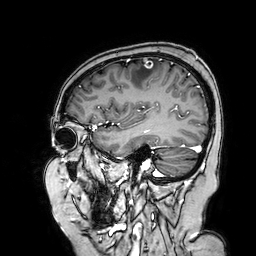
modality=3 Tesla brain MRI | series=3D T1-weighted turbo field echo with SENSE | study=ring-enhancing brain masses.